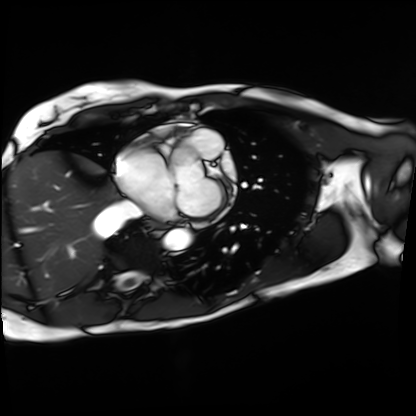
Q: What kind of scan is this?
A: Cardiac MRI.
Subject group: patient.